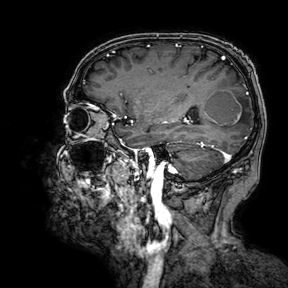
3 Tesla brain MRI. Study: ring-enhancing brain masses.